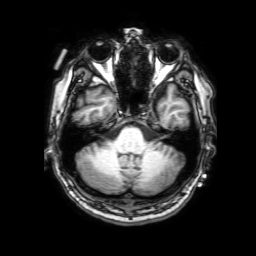
3 Tesla brain MRI.
Study: ring-enhancing brain masses.